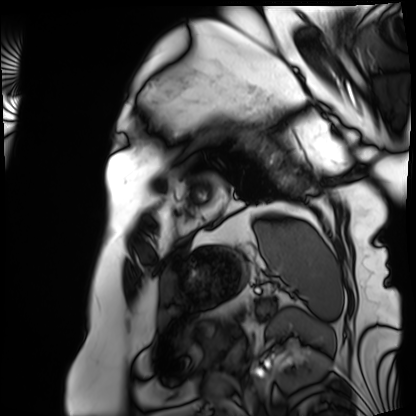
Cardiac MRI.
Subject group: patient.